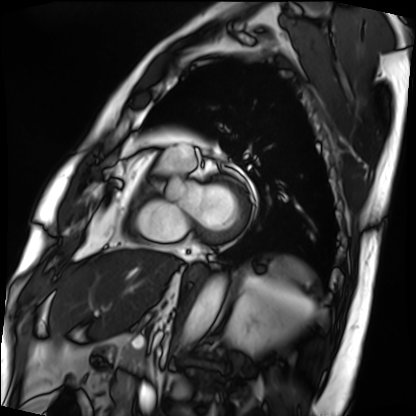
| field | value |
|---|---|
| modality | cardiac MRI |
| subject group | patient |